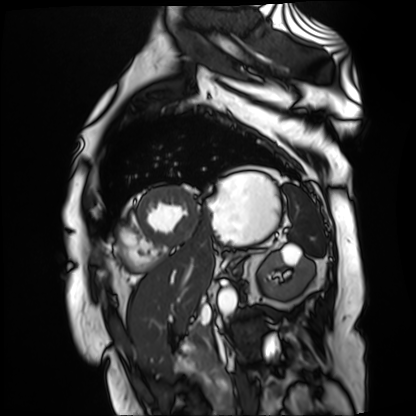
Summary:
Cardiac MR image of the myocardium. Subject cohort: cardiac patient.